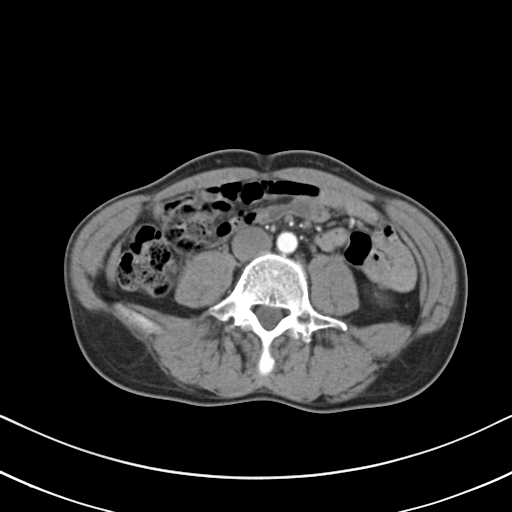
Summary:
Multiphase abdominal CT, liver, arterial phase. Patient: male, age 46. History: viral hepatitis.